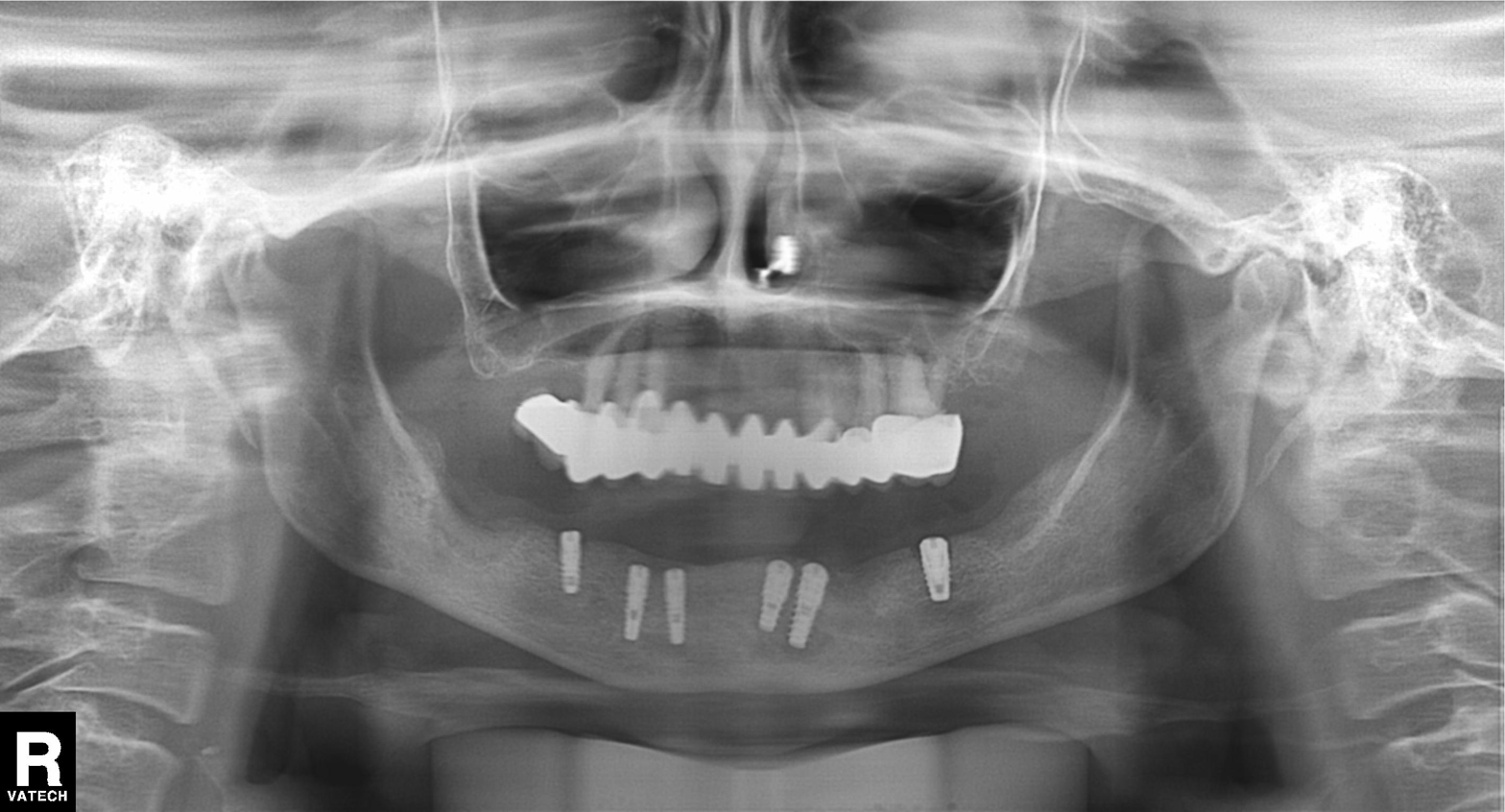
modality: panoramic dental radiograph (orthopantomogram), finding: dental caries (cavities).